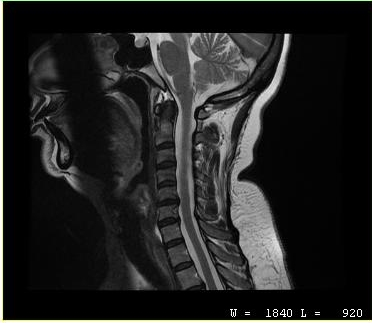
{
  "modality": {
    "type": "cervical spine MRI"
  },
  "study_topic": "cervical spondylosis"
}